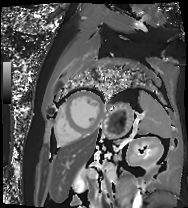
Cardiac MR image of the myocardium.
Subject cohort: cardiac patient.